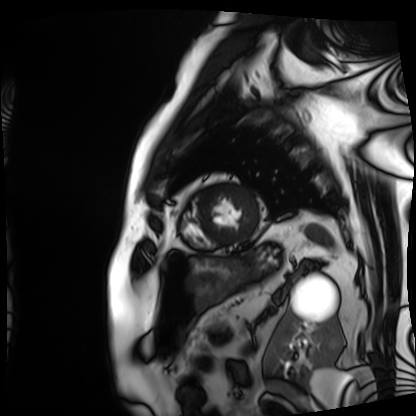
Case summary:
Cardiac MRI. Subject group: patient.